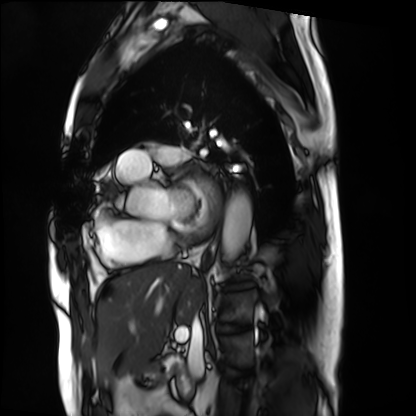
| field | value |
|---|---|
| modality | cardiac MRI |
| subject group | patient |